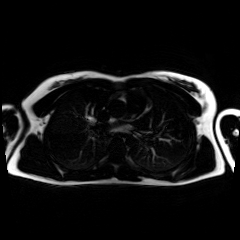
{
  "modality": "chemical-shift-encoded cardiac MRI"
}